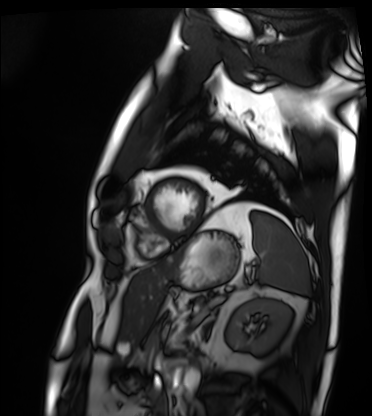
Cardiac MRI. Subject group: patient.